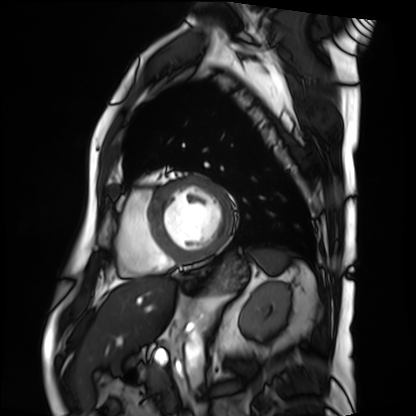
Case summary:
Cardiac MRI. Subject group: patient.